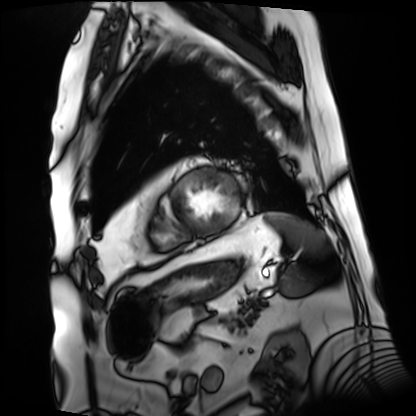
Case summary: Cardiac MRI. Subject group: patient.